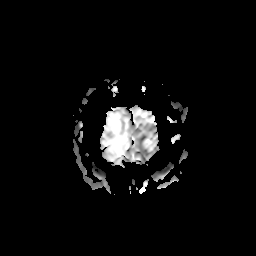
3 Tesla brain MRI.
Series: apparent diffusion coefficient (ADC) map.
Study: ring-enhancing brain masses.